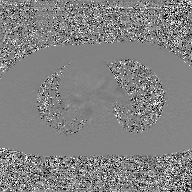
{
  "modality": {
    "type": "2D phase-contrast cine MRI",
    "region": "ascending aorta",
    "reconstruction": "GAN super-resolution reconstruction"
  }
}